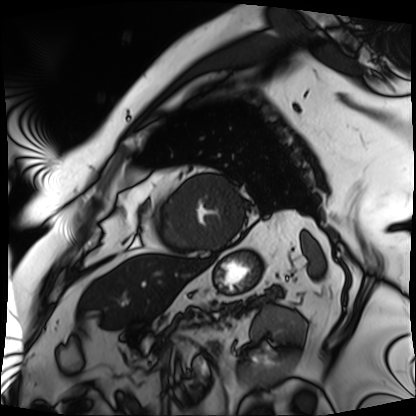
Q: What kind of scan is this?
A: Cardiac MRI.
Subject group: patient.